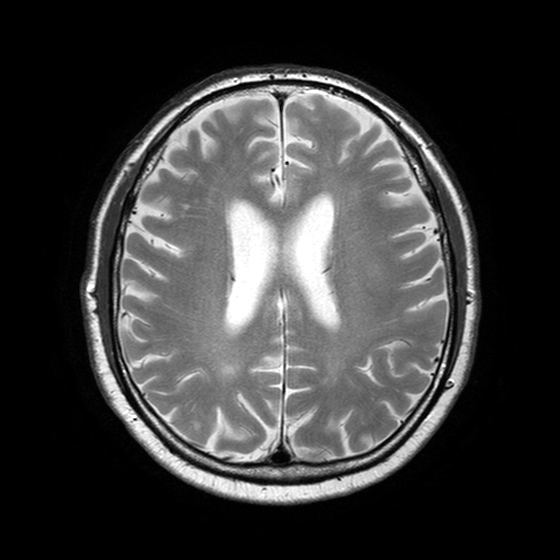
3 Tesla brain MRI.
Series: T2-weighted turbo spin echo with SENSE.
Study: ring-enhancing brain masses.